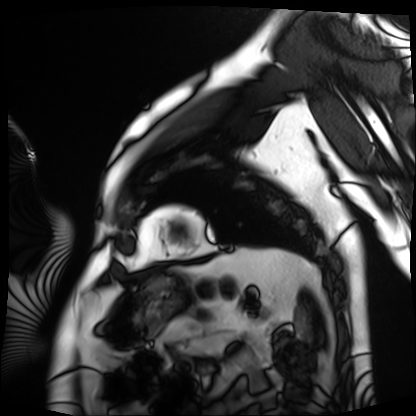
Q: What kind of scan is this?
A: Cardiac MRI.
Subject group: patient.